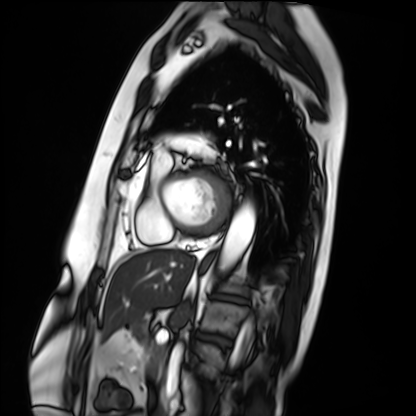
<case>
  <modality>cardiac MRI</modality>
  <cohort>patient</cohort>
</case>